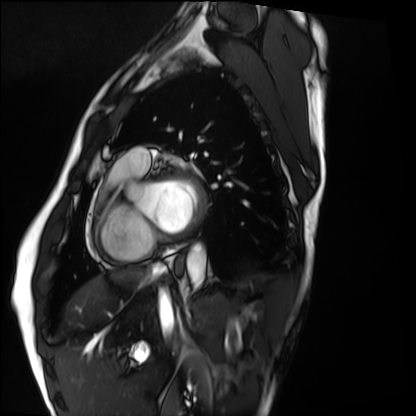
Cardiac MRI. Subject group: healthy volunteer.